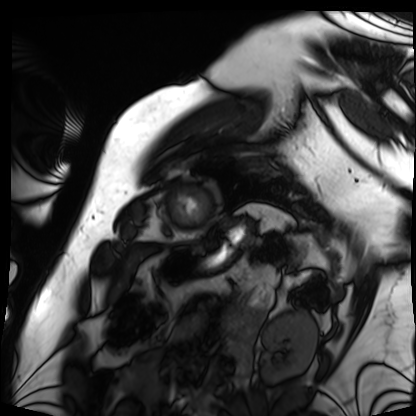
Cardiac MRI.
Subject group: patient.